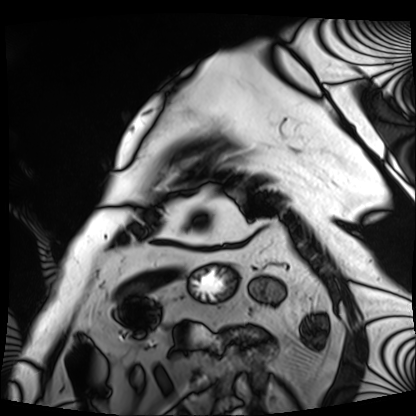
modality: cardiac MRI | subject group: patient.